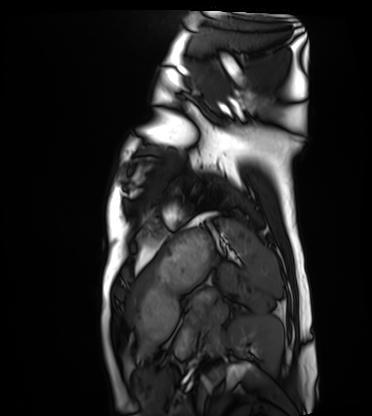
Case summary:
Cardiac MRI. Subject group: healthy volunteer.